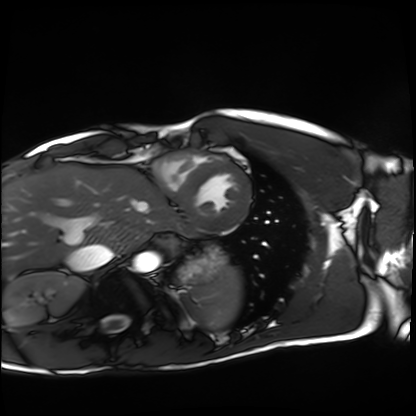
Summary:
Cardiac MRI. Subject group: healthy volunteer.